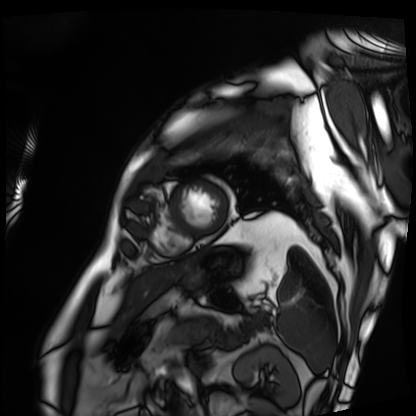
Summary:
Cardiac MRI. Subject group: patient.